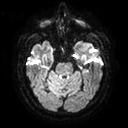
modality: 3 Tesla brain MRI
series: diffusion tensor imaging (medium iso)
study: ring-enhancing brain masses